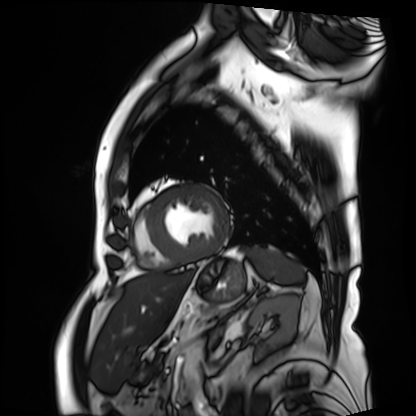
• modality — cardiac MRI
• subject group — patient